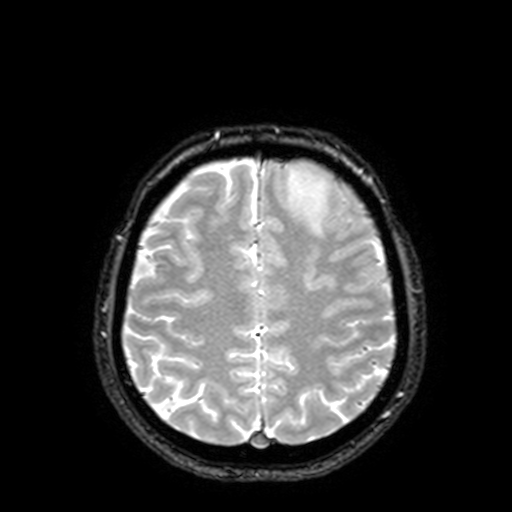
Summary:
3 Tesla brain MRI. Series: T2-weighted fast field echo with SENSE. Study: ring-enhancing brain masses.